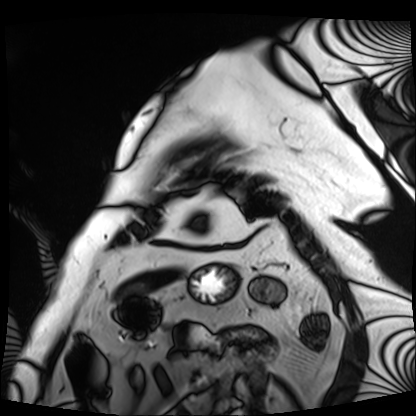
modality: cardiac MRI | subject group: patient.